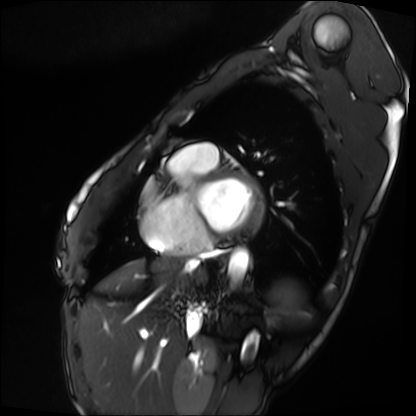
modality: cardiac MRI; subject group: patient.